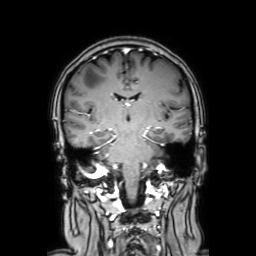
- modality — 3 Tesla brain MRI
- series — coronal with contrast
- study — ring-enhancing brain masses